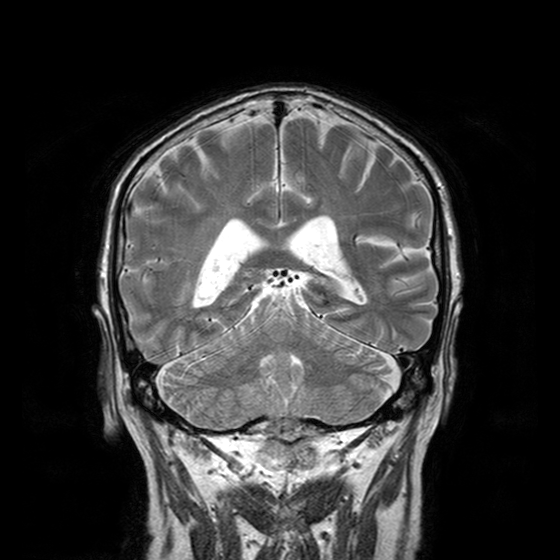
3 Tesla brain MRI. Series: T2-weighted turbo spin echo with CLEAR. Study: ring-enhancing brain masses.